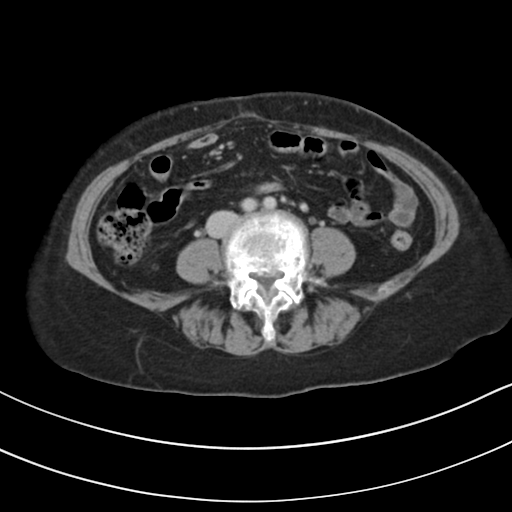
Summary:
Multiphase abdominal CT, liver, delayed phase. Patient: female, age 61.